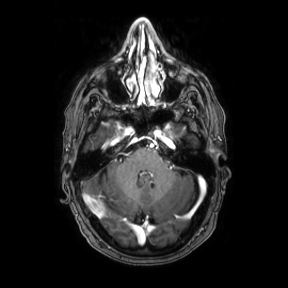
3 Tesla brain MRI. Series: axial. Study: ring-enhancing brain masses.